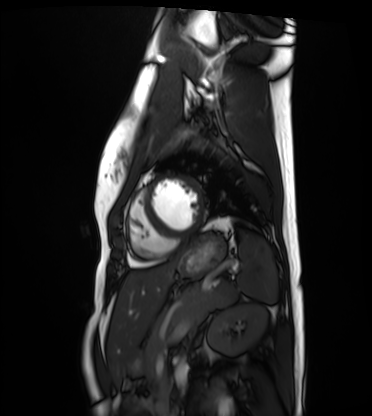
Cardiac MRI.
Subject group: healthy volunteer.